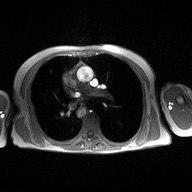
  modality:
    type: 2D phase-contrast cine MRI
    region: ascending aorta
    reconstruction: high-resolution GRAPPA acquisition